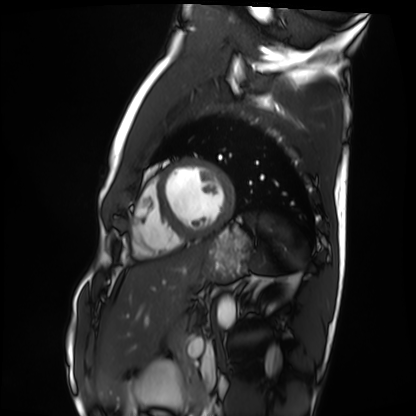
{
  "modality": "cardiac MRI",
  "cohort": "healthy volunteer"
}